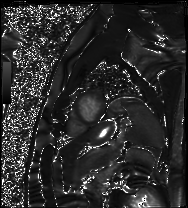
Cardiac MRI.
Subject group: patient.